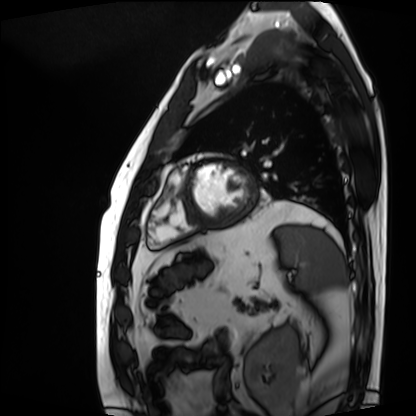
Summary: Cardiac MRI. Subject group: patient.